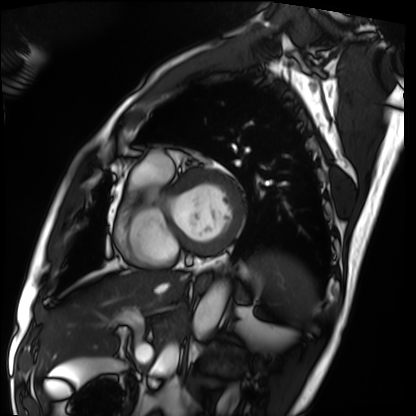
Summary:
Cardiac MRI. Subject group: patient.